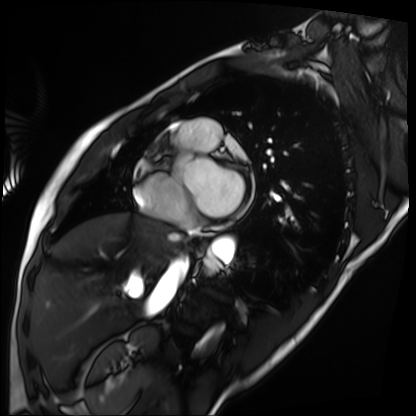
  modality: cardiac MRI
  cohort: patient